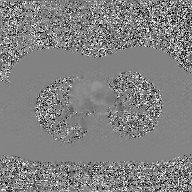
modality = 2D phase-contrast cine MRI of the ascending aorta, GAN super-resolution reconstruction